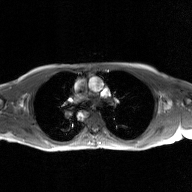
Clinical context:
2D phase-contrast cine MRI of the ascending aorta, GAN super-resolution reconstruction.